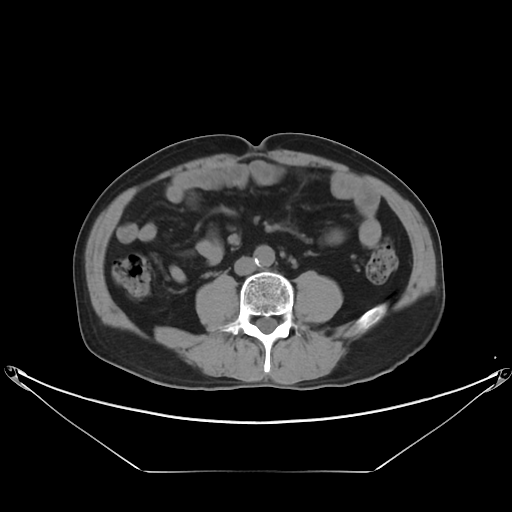
modality — multiphase abdominal CT, liver, non-contrast phase
patient — male, age 69
history — viral hepatitis